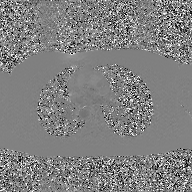
2D phase-contrast cine MRI of the ascending aorta, GAN super-resolution reconstruction.